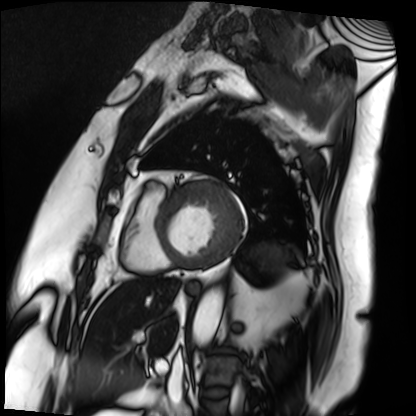
| field | value |
|---|---|
| modality | cardiac MRI |
| subject group | patient |